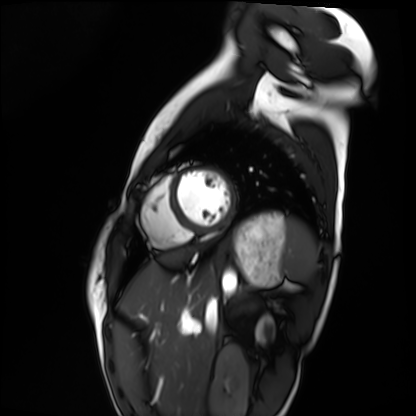
| field | value |
|---|---|
| modality | cardiac MRI |
| subject group | healthy volunteer |